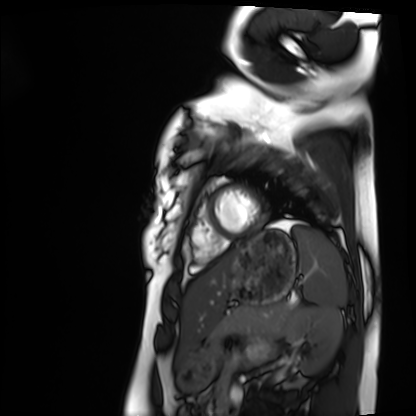
Summary:
Cardiac MRI. Subject group: healthy volunteer.